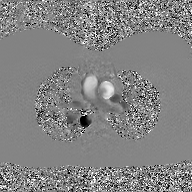
{
  "modality": {
    "type": "2D phase-contrast cine MRI",
    "region": "ascending aorta",
    "reconstruction": "GAN super-resolution reconstruction"
  }
}